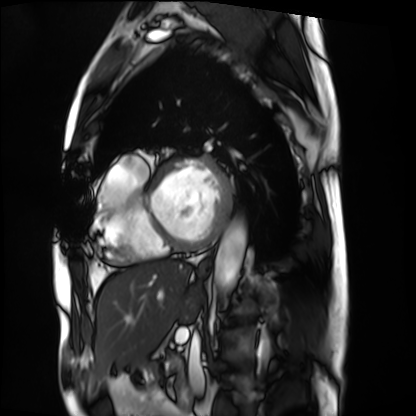
<case>
<modality>cardiac MRI</modality>
<cohort>patient</cohort>
</case>